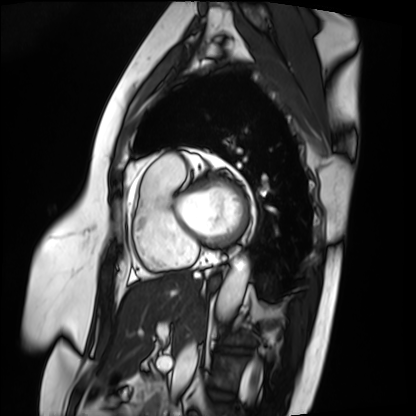
Summary:
Cardiac MRI. Subject group: patient.